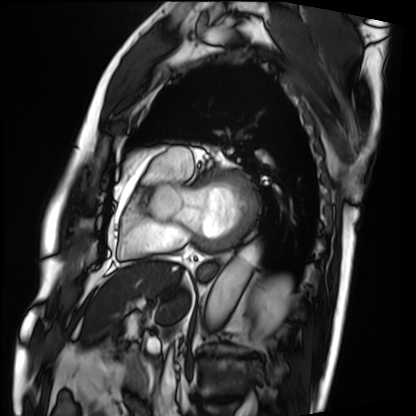
* modality · cardiac MRI
* subject group · patient